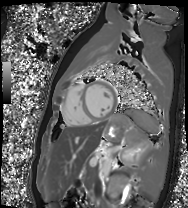
Q: What kind of scan is this?
A: Cardiac MR image of the myocardium.
Subject cohort: healthy volunteer.